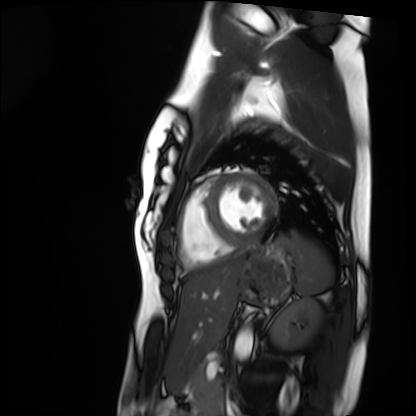
| field | value |
|---|---|
| modality | cardiac MRI |
| subject group | healthy volunteer |